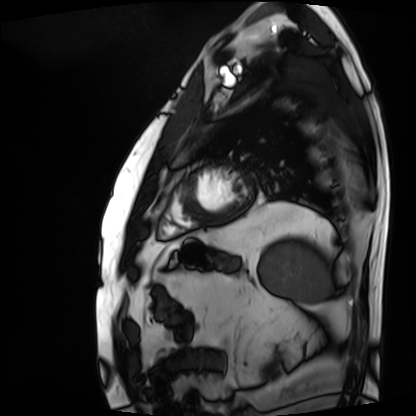
Cardiac MRI. Subject group: patient.